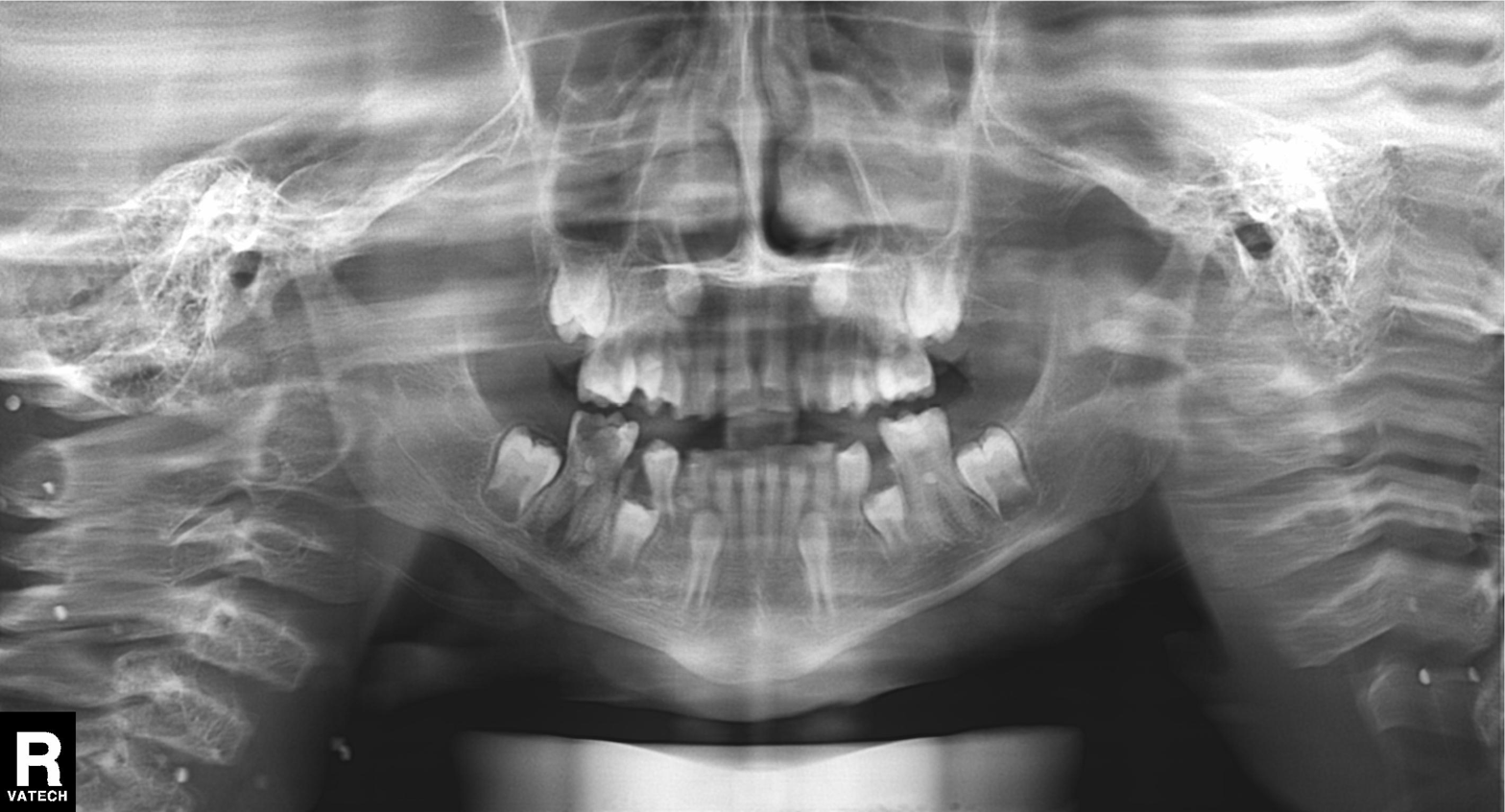
modality: panoramic dental radiograph (orthopantomogram)
finding: tooth impaction